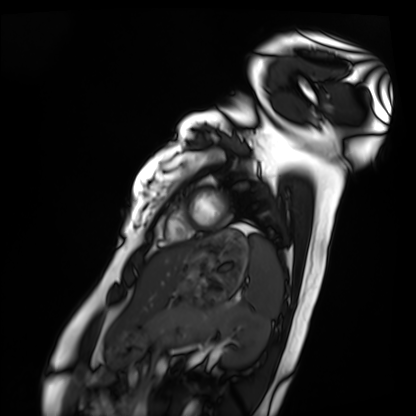
{
  "modality": "cardiac MRI",
  "cohort": "healthy volunteer"
}